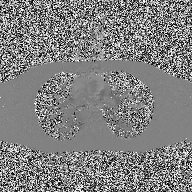
2D phase-contrast cine MRI of the ascending aorta, high-resolution GRAPPA acquisition.